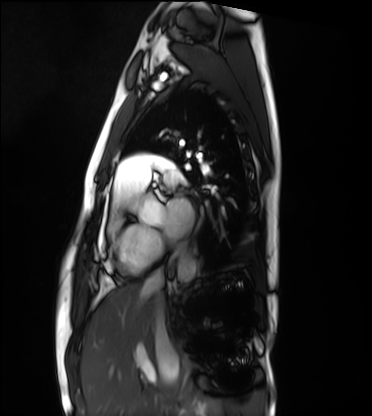
modality = cardiac MRI; subject group = healthy volunteer.